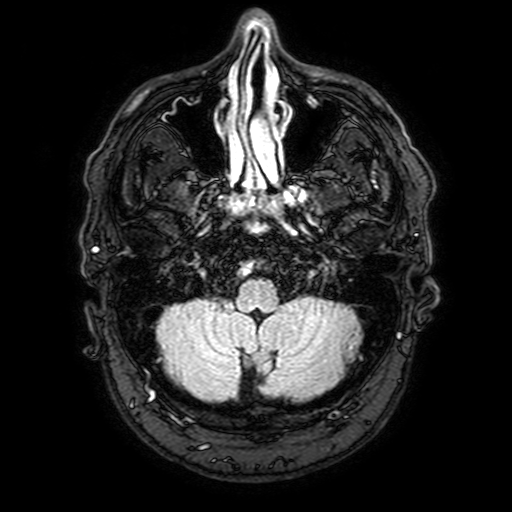
3 Tesla brain MRI.
Series: FLAIR with SPAIR, 3 mm.
Study: ring-enhancing brain masses.